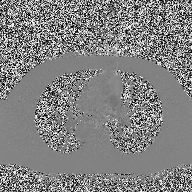
2D phase-contrast cine MRI of the ascending aorta, high-resolution GRAPPA acquisition.